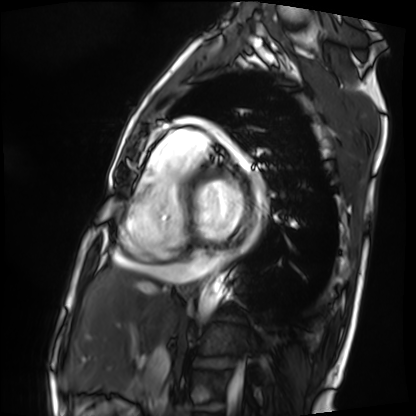
Summary:
Cardiac MRI. Subject group: patient.